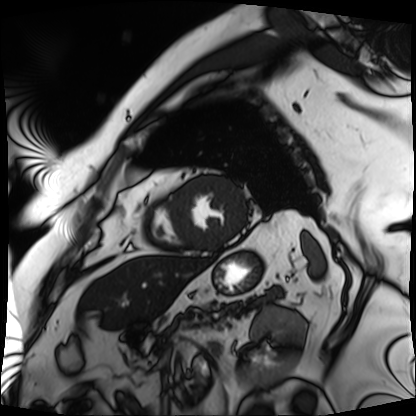
– modality · cardiac MRI
– subject group · patient